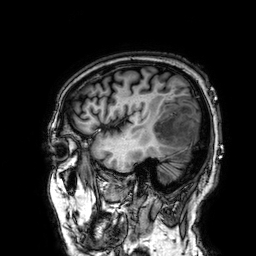
Clinical context:
3 Tesla brain MRI. Series: 3D T1-weighted. Study: ring-enhancing brain masses.